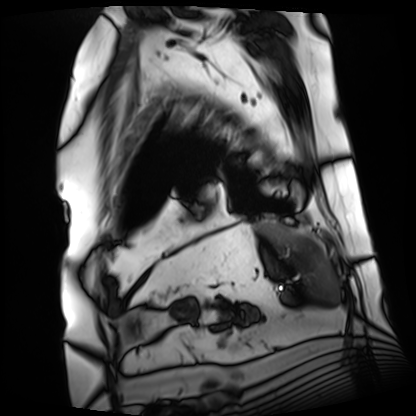
Summary:
Cardiac MRI. Subject group: patient.